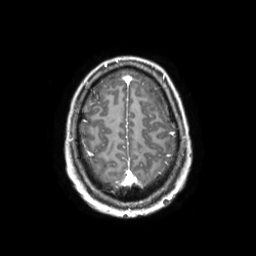
modality = 3 Tesla brain MRI
series = 3D T1-weighted TFE with SENSE
study = ring-enhancing brain masses